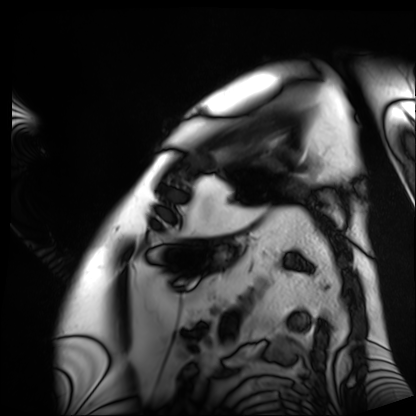
Cardiac MRI. Subject group: patient.